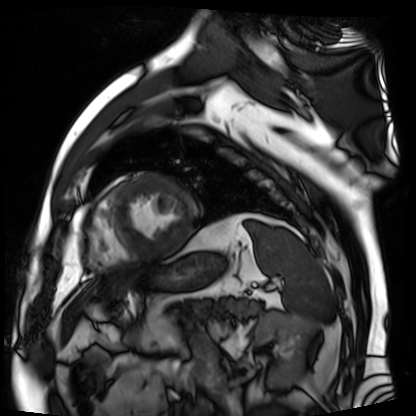
Case:
- modality — cardiac MR image of the myocardium
- subject cohort — cardiac patient